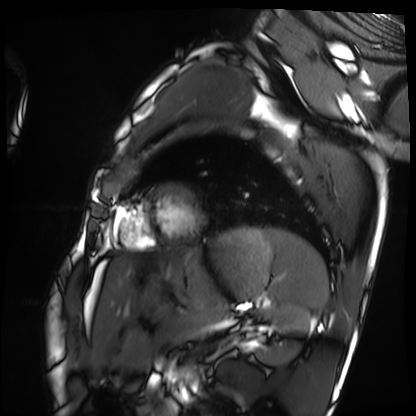
Cardiac MRI.
Subject group: healthy volunteer.